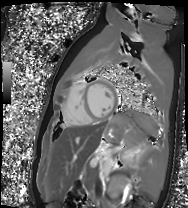
Q: What kind of scan is this?
A: Cardiac MR image of the myocardium.
Subject cohort: healthy volunteer.